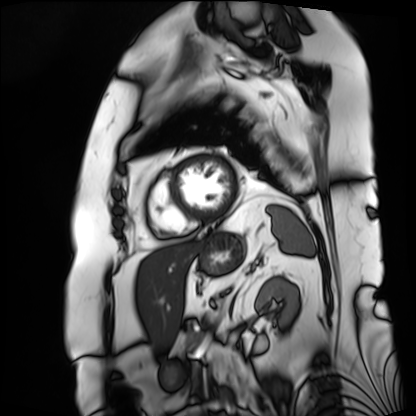
modality: cardiac MRI; subject group: patient.